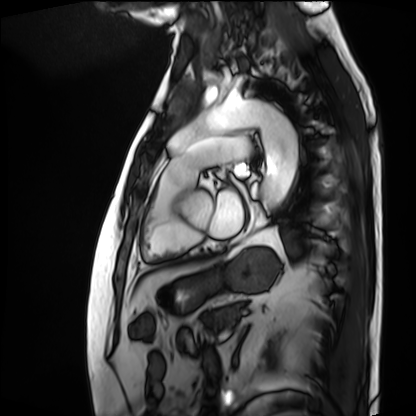
– modality: cardiac MRI
– subject group: patient